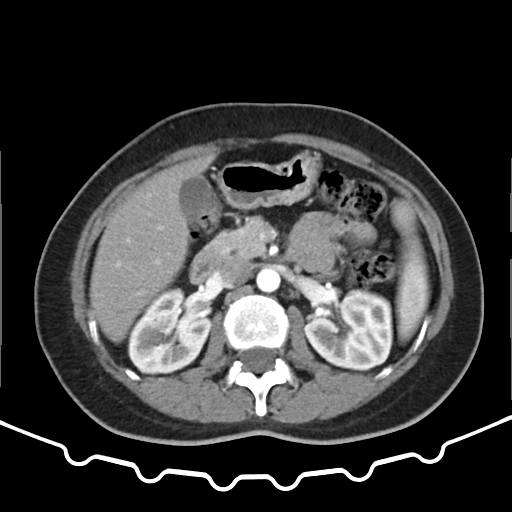
modality — multiphase abdominal CT, liver, arterial phase; patient — female, age 43.